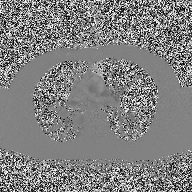
modality: 2D phase-contrast cine MRI of the ascending aorta